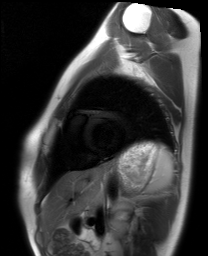
Q: What kind of scan is this?
A: Cardiac MRI.
Subject group: healthy volunteer.